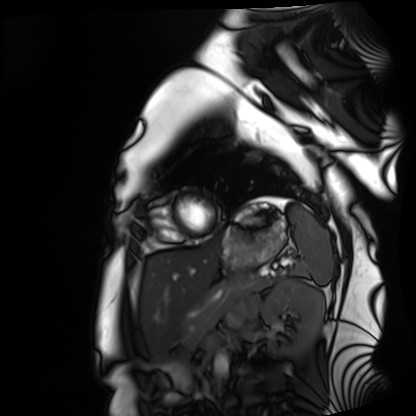
Case:
– modality — cardiac MRI
– subject group — healthy volunteer